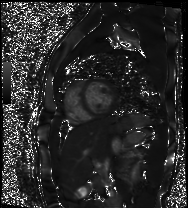
Clinical context: Cardiac MR image of the myocardium. Subject cohort: healthy volunteer.